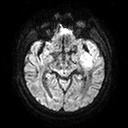
modality: 3 Tesla brain MRI | series: diffusion tensor imaging (medium iso) | study: ring-enhancing brain masses.